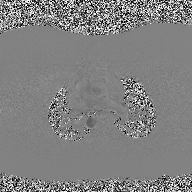
Summary:
2D phase-contrast cine MRI of the ascending aorta, high-resolution GRAPPA acquisition.